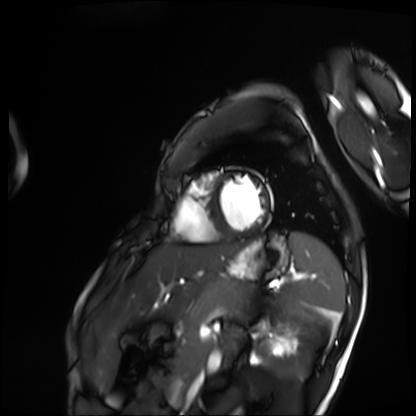
Cardiac MRI. Subject group: patient.